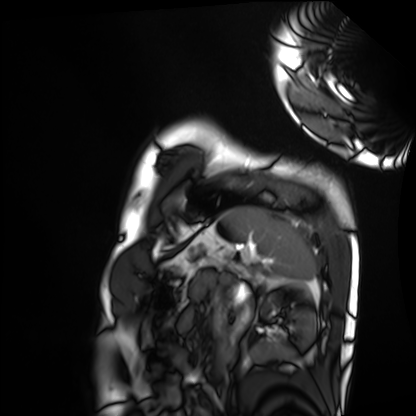
modality — cardiac MRI; subject group — healthy volunteer.